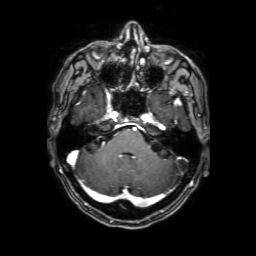
3 Tesla brain MRI. Series: 3D T1-weighted with SENSE. Study: ring-enhancing brain masses.